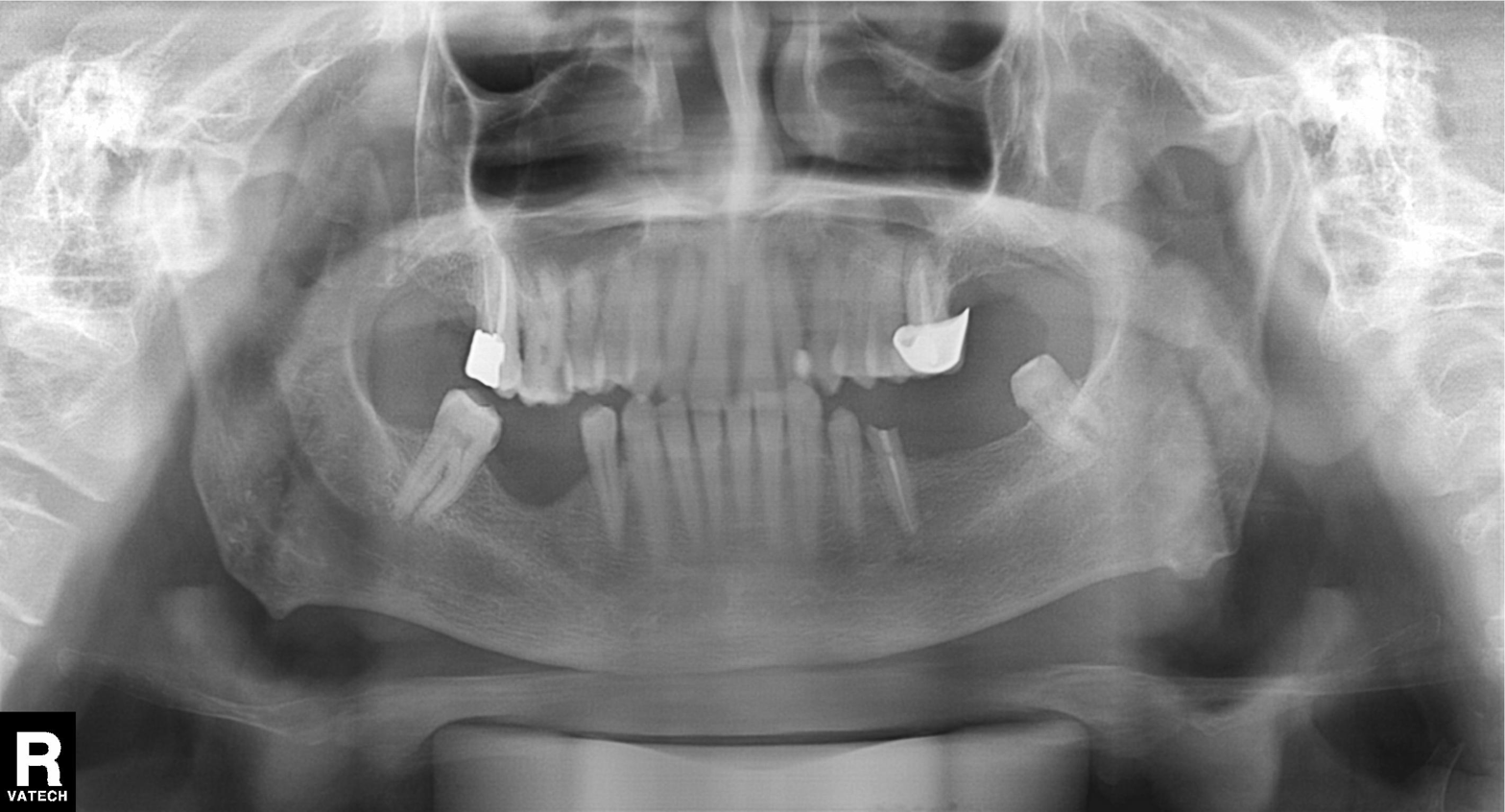
Case summary:
Panoramic dental radiograph (orthopantomogram).
Conclusion:
Tooth impaction.